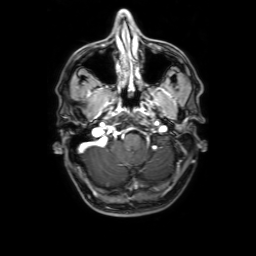
3 Tesla brain MRI.
Series: 3D T1-weighted with SENSE.
Study: ring-enhancing brain masses.